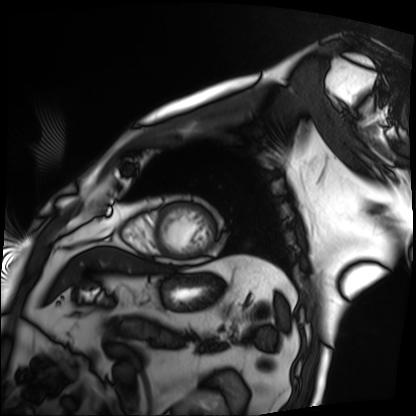
• modality — cardiac MRI
• subject group — patient